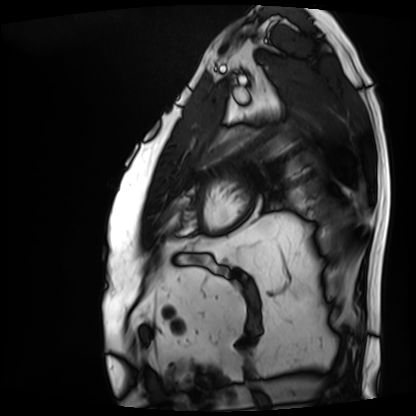
Cardiac MRI. Subject group: patient.